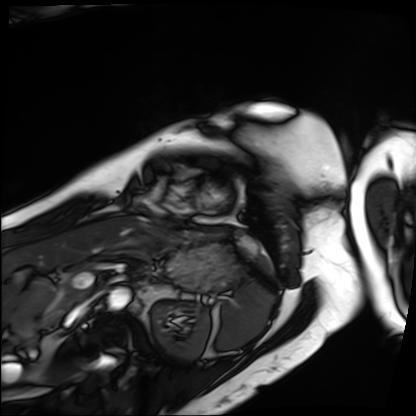
modality: cardiac MRI
subject group: patient